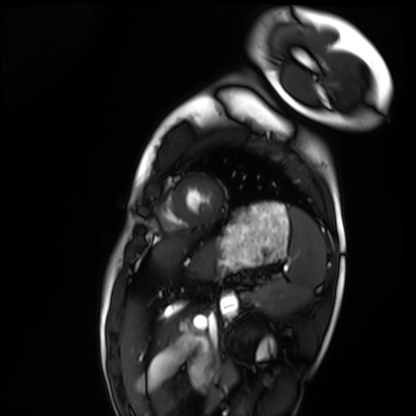
Cardiac MRI. Subject group: healthy volunteer.